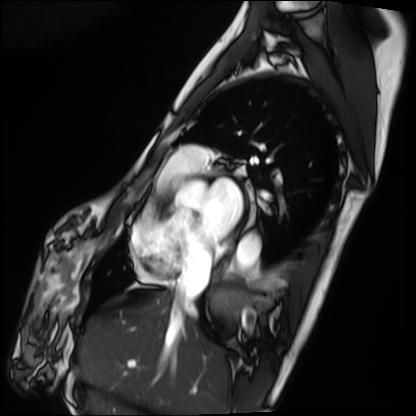
Cardiac MRI. Subject group: patient.